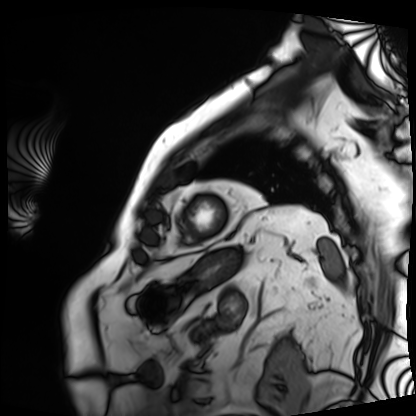
Cardiac MRI. Subject group: patient.